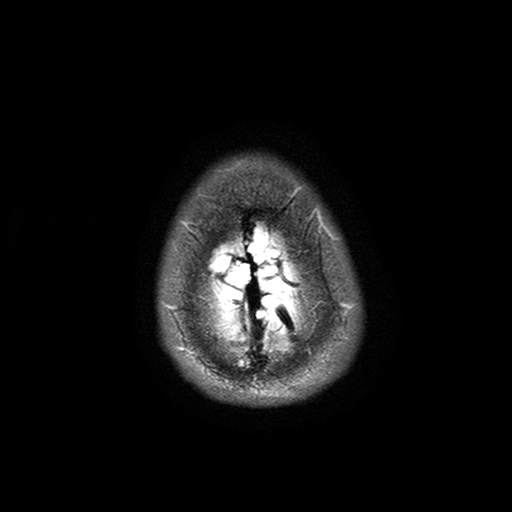
Clinical context:
3 Tesla brain MRI. Series: T2-weighted turbo spin echo with SENSE. Study: ring-enhancing brain masses.